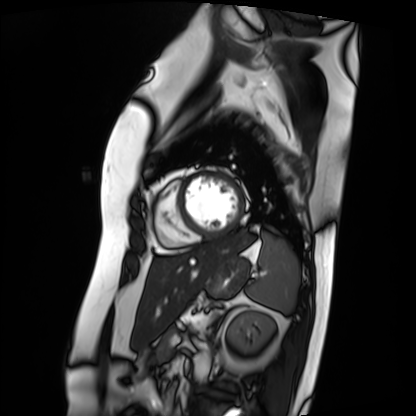
Cardiac MRI.
Subject group: patient.